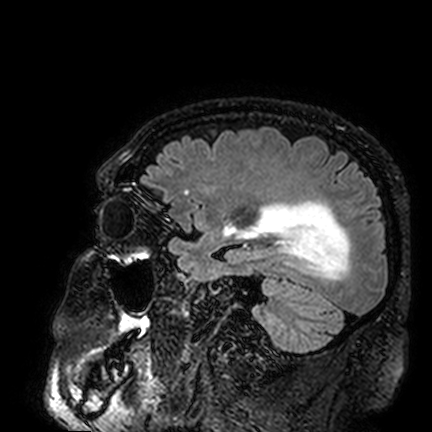
Q: What kind of scan is this?
A: 3 Tesla brain MRI.
Q: Series?
A: FLAIR VISTA.
Study: ring-enhancing brain masses.